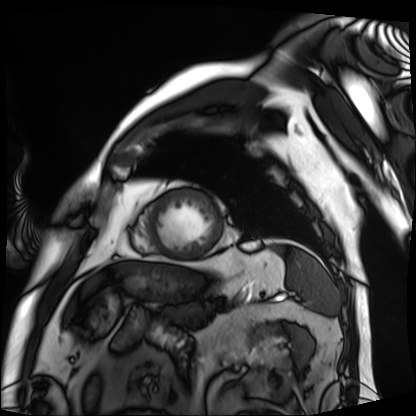
- modality · cardiac MRI
- subject group · patient